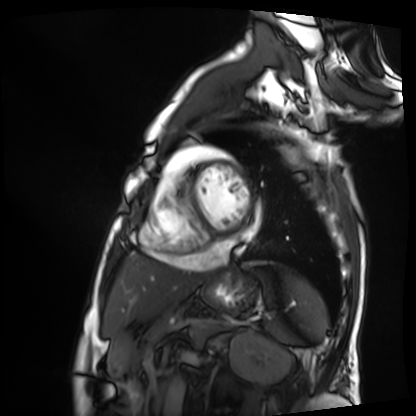
modality: cardiac MRI; subject group: patient.